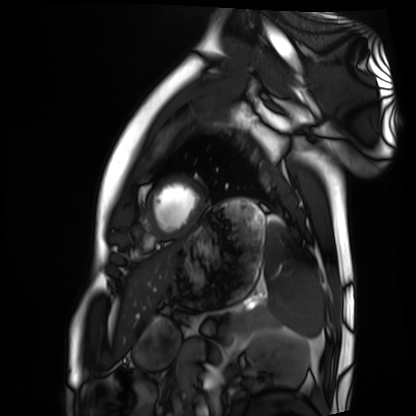
Cardiac MRI. Subject group: healthy volunteer.